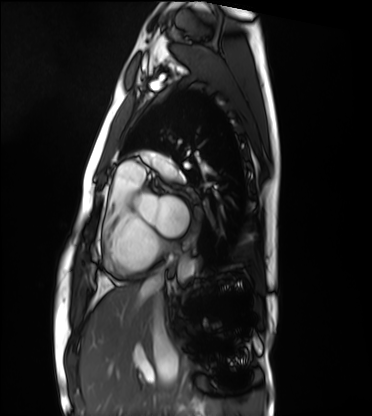
Cardiac MRI. Subject group: healthy volunteer.